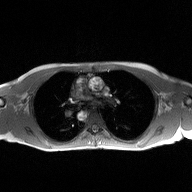
Case:
- modality — 2D phase-contrast cine MRI of the ascending aorta